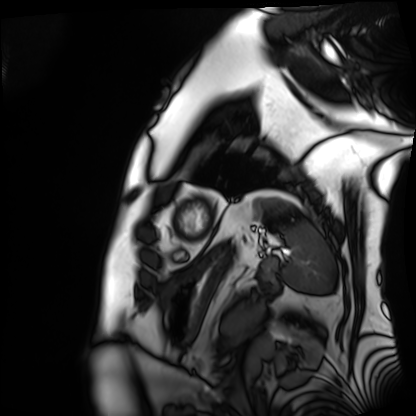
Case summary: Cardiac MRI. Subject group: patient.